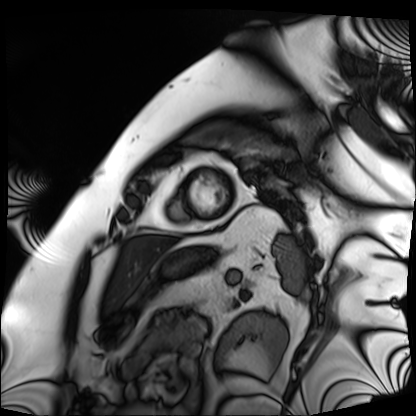
Case:
- modality — cardiac MRI
- subject group — patient